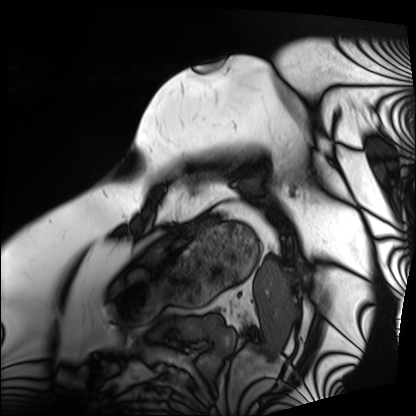
Summary: Cardiac MRI. Subject group: patient.